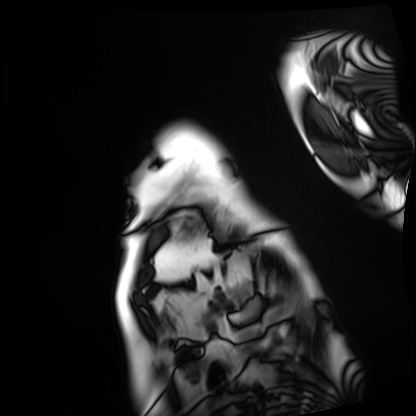
Q: What kind of scan is this?
A: Cardiac MRI.
Subject group: patient.